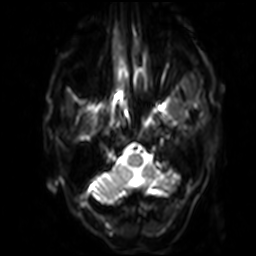
3 Tesla brain MRI. Series: diffusion-weighted imaging with SENSE (WIP). Study: ring-enhancing brain masses.